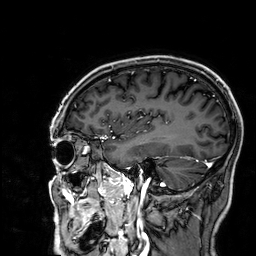
  modality:
    type: brain MRI
    field_strength: 3T
  series: 3D T1-weighted
  study_topic: ring-enhancing brain masses